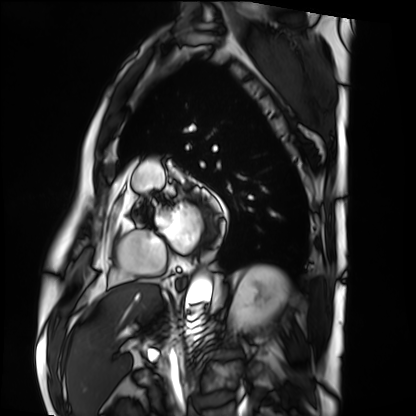
Q: What kind of scan is this?
A: Cardiac MRI.
Subject group: patient.